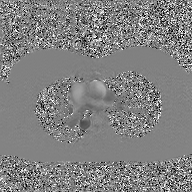
{"modality": {"type": "2D phase-contrast cine MRI", "region": "ascending aorta", "reconstruction": "GAN super-resolution reconstruction"}}